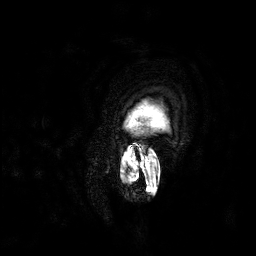
Q: What kind of scan is this?
A: 3 Tesla brain MRI.
Q: Series?
A: 3D T1-weighted.
Study: ring-enhancing brain masses.